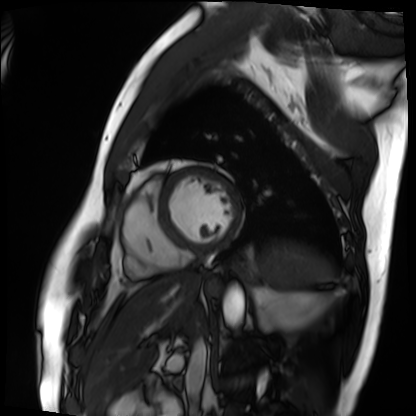
modality: cardiac MRI, subject group: patient.